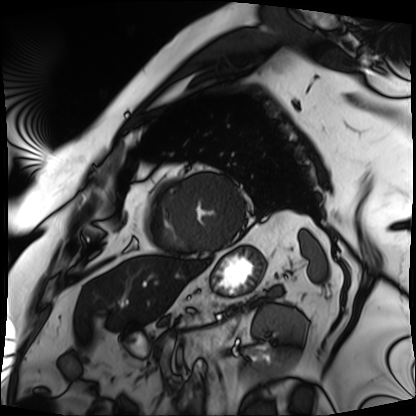
Q: What kind of scan is this?
A: Cardiac MRI.
Subject group: patient.